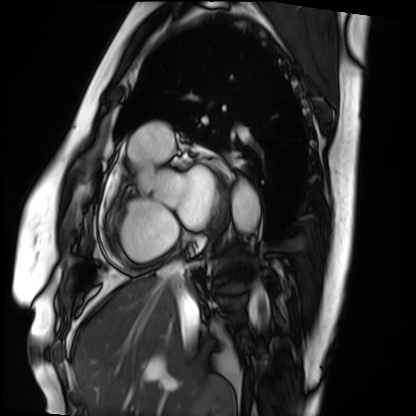
modality = cardiac MRI | subject group = patient.